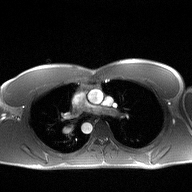
Q: What kind of scan is this?
A: 2D phase-contrast cine MRI of the ascending aorta.